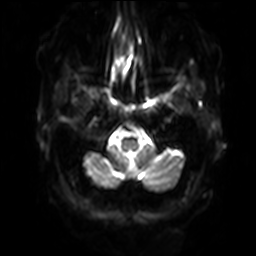
Q: What kind of scan is this?
A: 3 Tesla brain MRI.
Q: Series?
A: Diffusion-weighted imaging with SENSE (WIP).
Study: ring-enhancing brain masses.